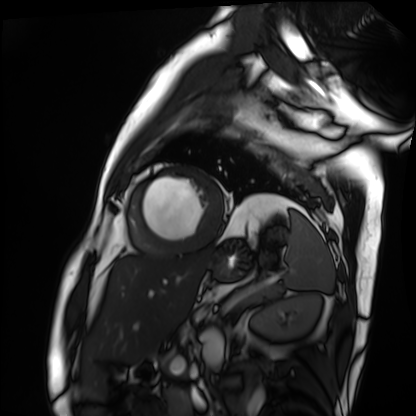
Case summary:
Cardiac MRI. Subject group: patient.